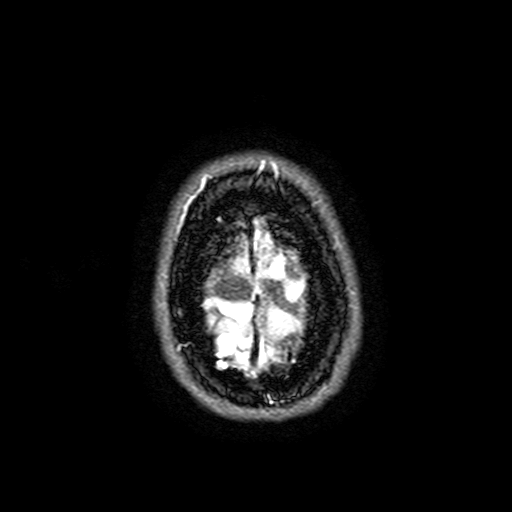
• modality — 3 Tesla brain MRI
• series — FLAIR with SPAIR, 3 mm
• study — ring-enhancing brain masses